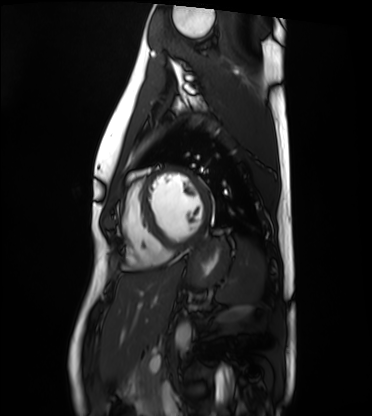
{
  "modality": "cardiac MRI",
  "cohort": "healthy volunteer"
}